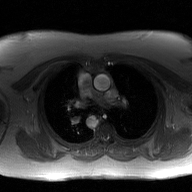
{
  "modality": {
    "type": "2D phase-contrast cine MRI",
    "region": "ascending aorta",
    "reconstruction": "GAN super-resolution reconstruction"
  }
}